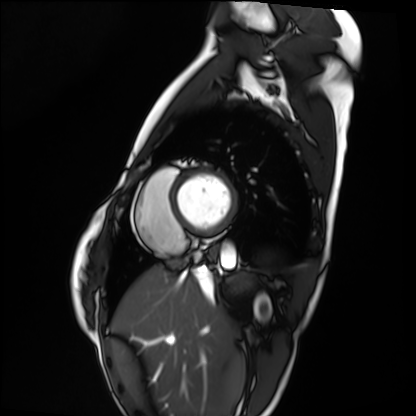
Summary: Cardiac MRI. Subject group: healthy volunteer.